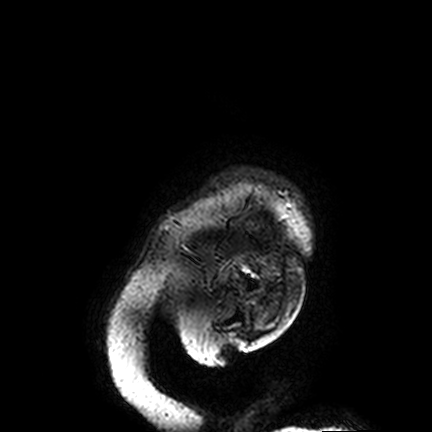
modality: 3 Tesla brain MRI | series: FLAIR VISTA | study: ring-enhancing brain masses.